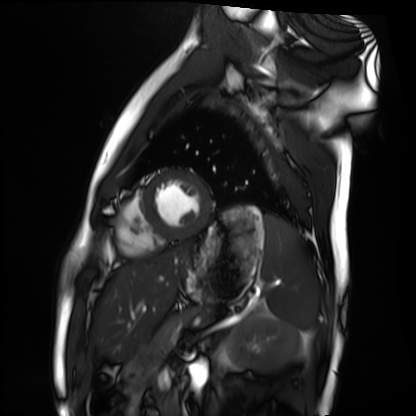
{
  "modality": "cardiac MRI",
  "cohort": "healthy volunteer"
}